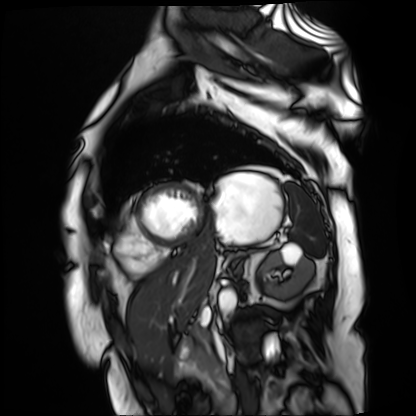
Summary:
Cardiac MR image of the myocardium. Subject cohort: cardiac patient.